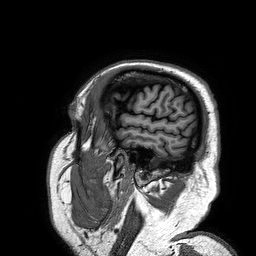
modality: 3 Tesla brain MRI | series: 3D T1-weighted turbo field echo | study: ring-enhancing brain masses.